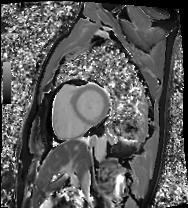
* modality: cardiac MRI
* subject group: patient